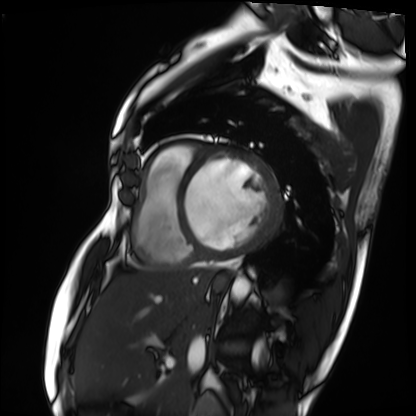
Q: What kind of scan is this?
A: Cardiac MRI.
Subject group: patient.